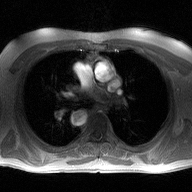
modality: 2D phase-contrast cine MRI of the ascending aorta.